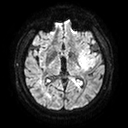
Summary: 3 Tesla brain MRI. Series: diffusion tensor imaging (medium iso). Study: ring-enhancing brain masses.